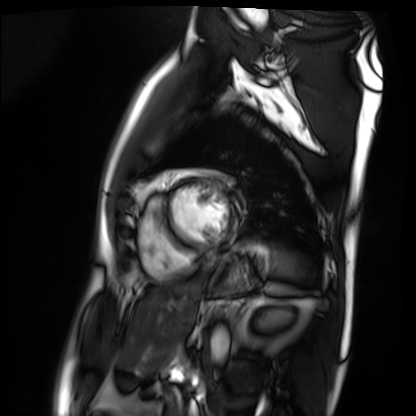
modality = cardiac MRI
subject group = patient